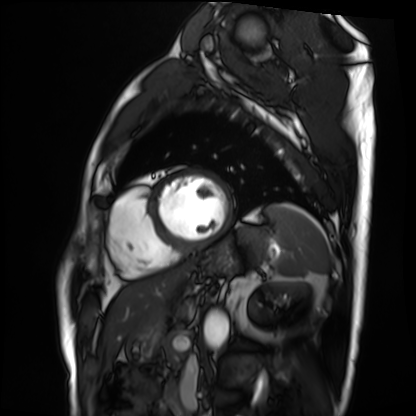
Case summary:
Cardiac MRI. Subject group: patient.